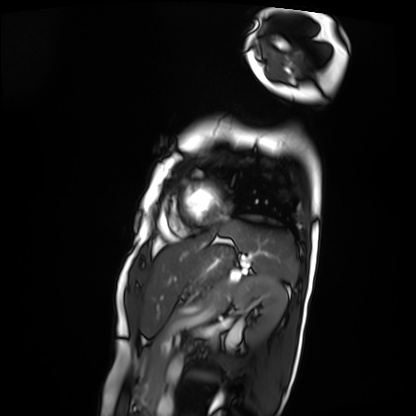
{"modality": "cardiac MRI", "cohort": "patient"}